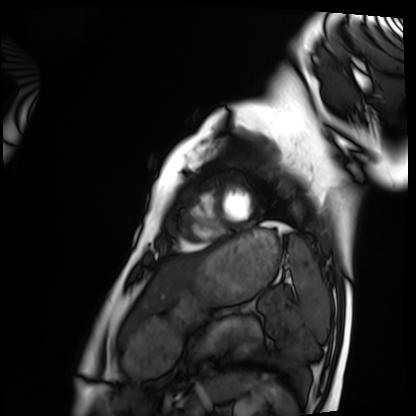
Cardiac MRI.
Subject group: healthy volunteer.